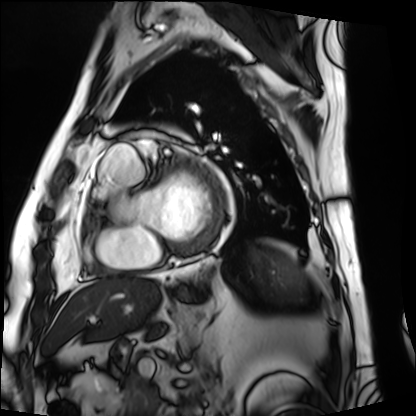
Clinical context: Cardiac MRI. Subject group: patient.